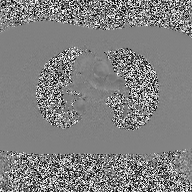
{
  "modality": {
    "type": "2D phase-contrast cine MRI",
    "region": "ascending aorta",
    "reconstruction": "high-resolution GRAPPA acquisition"
  }
}